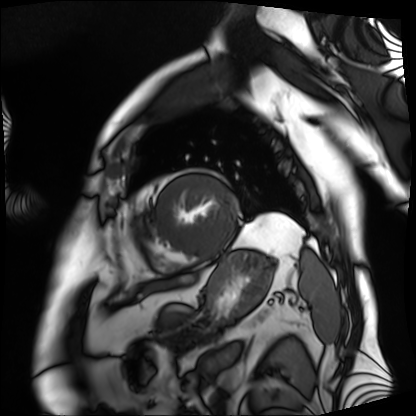
modality = cardiac MRI
subject group = patient